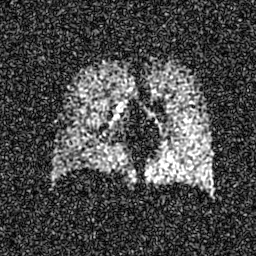
Hyperpolarized 129Xe ventilation MRI of the lungs.
SNR level 7 of 8 (the deposit holds this scan as its native image and as seven SNR-degraded versions).